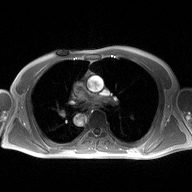
modality:
  type: 2D phase-contrast cine MRI
  region: ascending aorta
  reconstruction: high-resolution GRAPPA acquisition